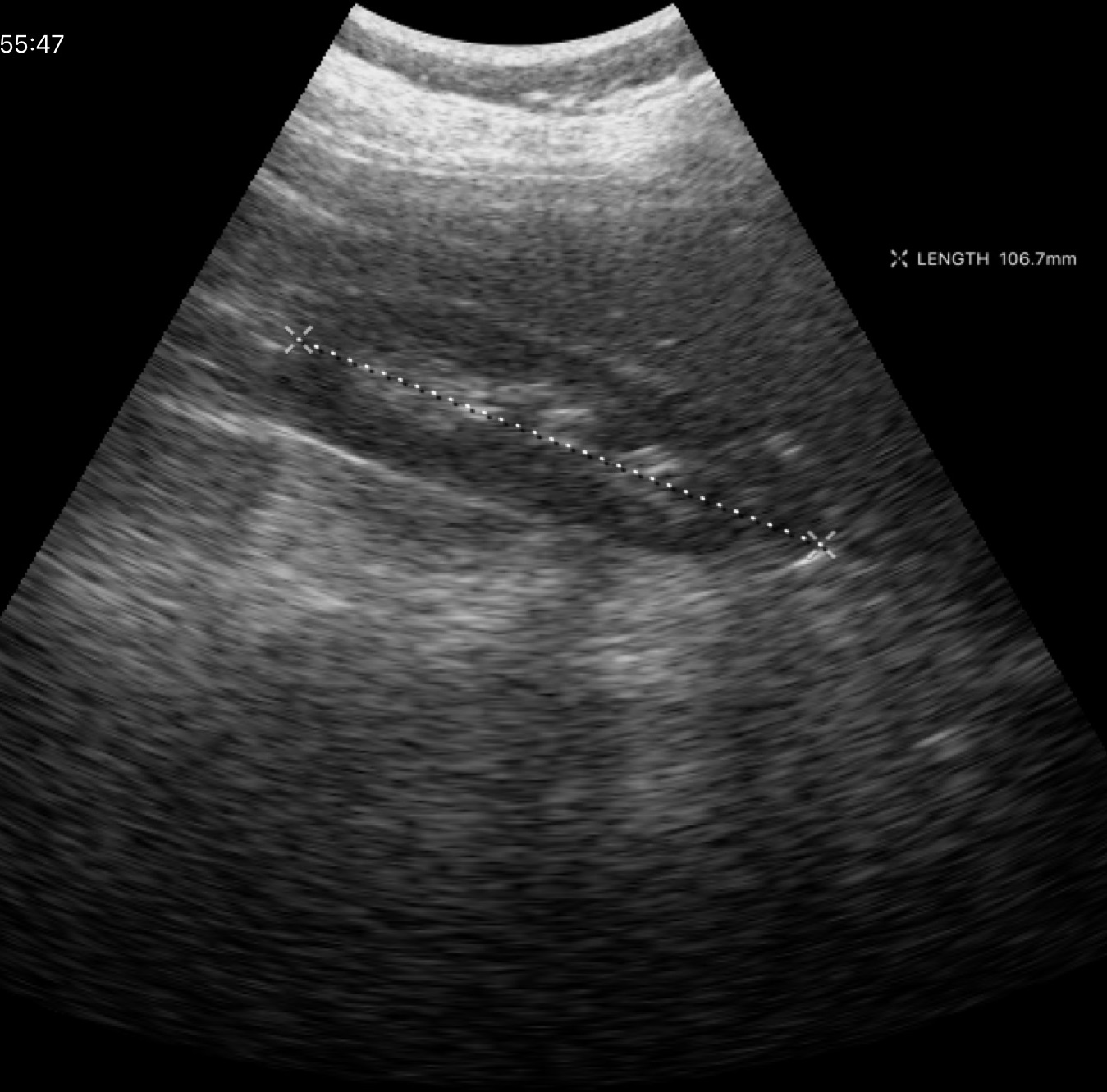
Q: What kind of scan is this?
A: Genitourinary ultrasound.